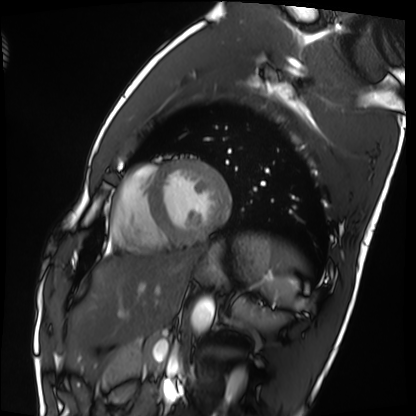
– modality — cardiac MRI
– subject group — healthy volunteer